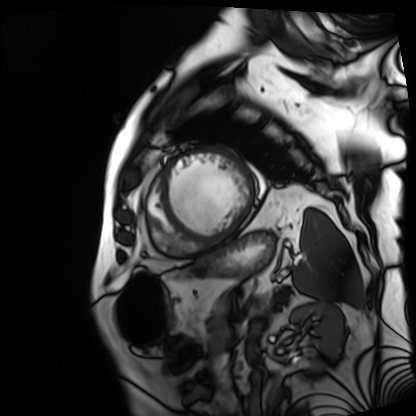
Case summary: Cardiac MRI. Subject group: patient.